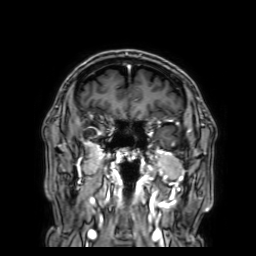
modality: 3 Tesla brain MRI | series: 3D T1-weighted with SENSE | study: ring-enhancing brain masses.